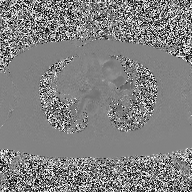
Summary: 2D phase-contrast cine MRI of the ascending aorta, high-resolution GRAPPA acquisition.